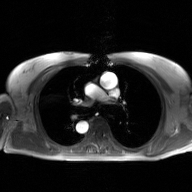
Summary:
2D phase-contrast cine MRI of the ascending aorta, GAN super-resolution reconstruction.